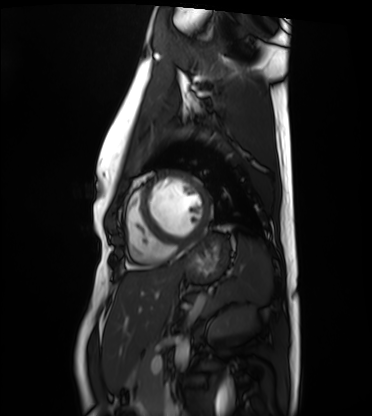
Case summary:
Cardiac MRI. Subject group: healthy volunteer.